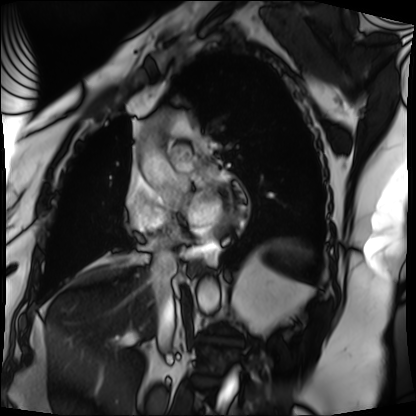
Cardiac MRI.
Subject group: patient.